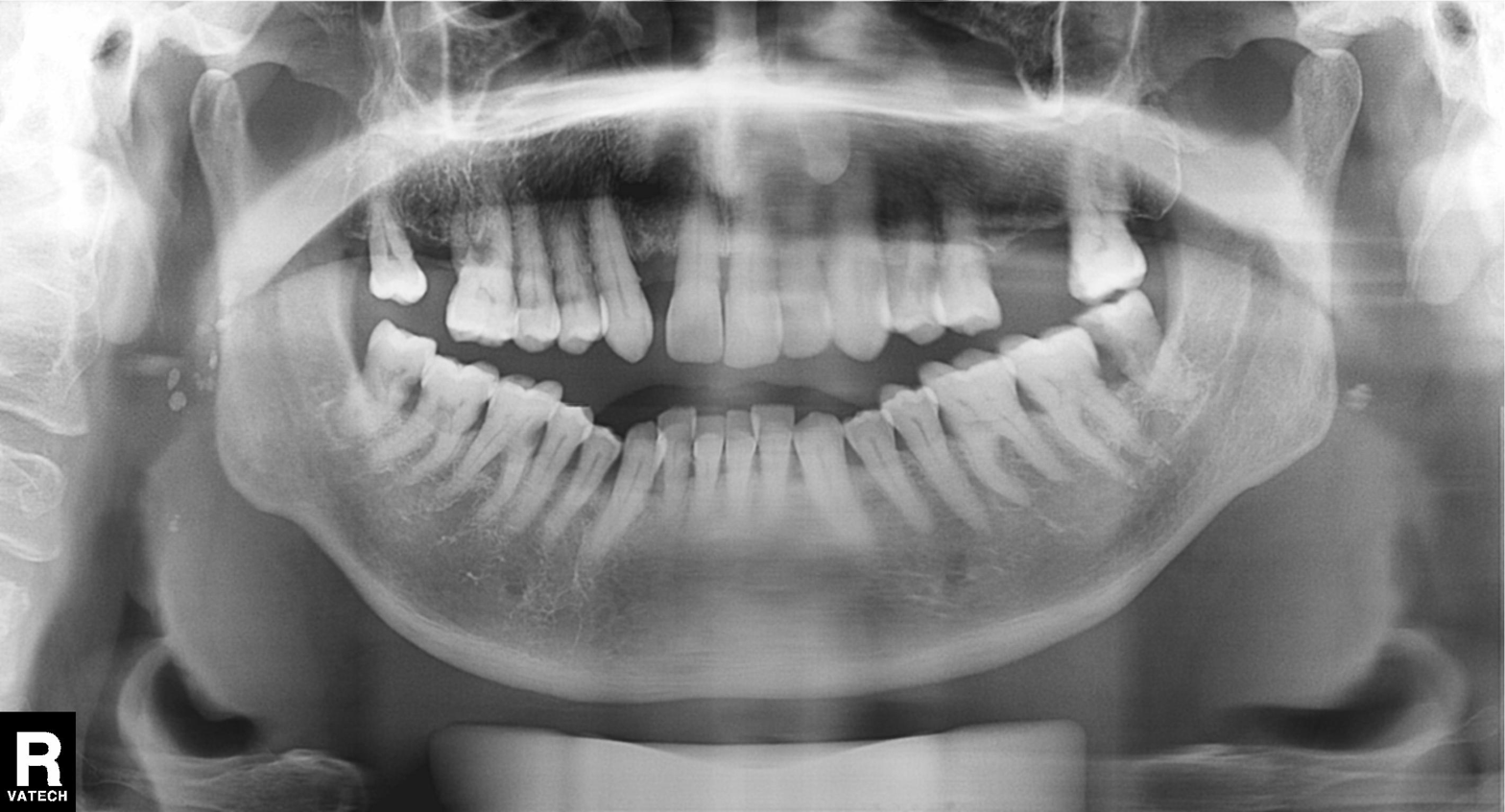
  modality: panoramic dental radiograph (orthopantomogram)
  finding: alveolar bone loss